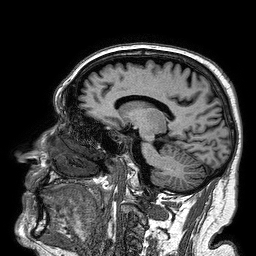
Case summary: 3 Tesla brain MRI. Series: 3D T1-weighted turbo field echo. Study: ring-enhancing brain masses.